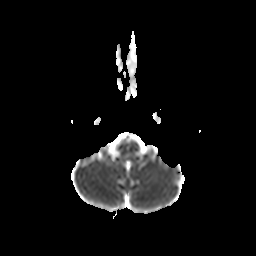
3 Tesla brain MRI. Series: diffusion-weighted imaging with CLEAR. Study: ring-enhancing brain masses.